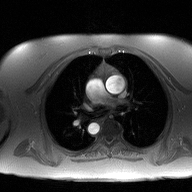
2D phase-contrast cine MRI of the ascending aorta, high-resolution GRAPPA acquisition.